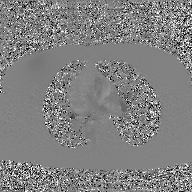
Q: What kind of scan is this?
A: 2D phase-contrast cine MRI of the ascending aorta, GAN super-resolution reconstruction.